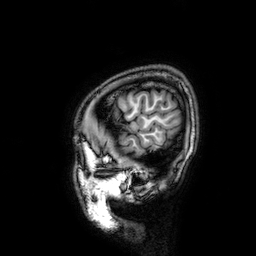
* modality · 3 Tesla brain MRI
* series · 3D T1-weighted
* study · ring-enhancing brain masses